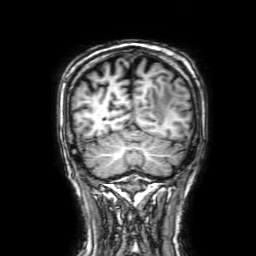
3 Tesla brain MRI. Series: 3D T1-weighted with SENSE. Study: ring-enhancing brain masses.